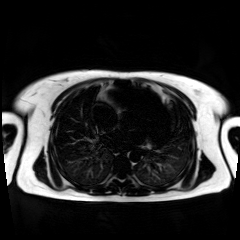
Clinical context:
Chemical-shift-encoded cardiac MRI.